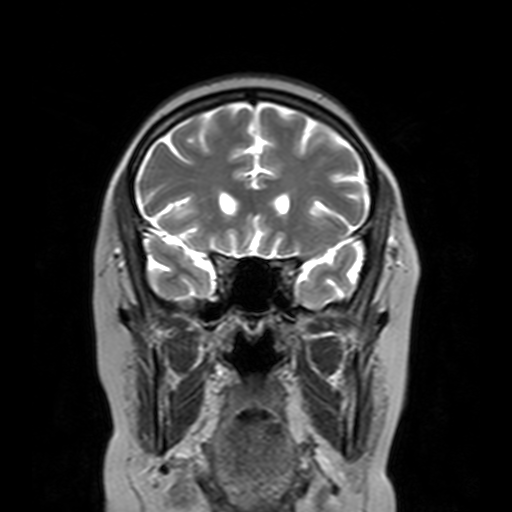
modality = 3 Tesla brain MRI
series = T2-weighted turbo spin echo with SENSE
study = ring-enhancing brain masses